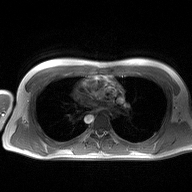
2D phase-contrast cine MRI of the ascending aorta, high-resolution GRAPPA acquisition.